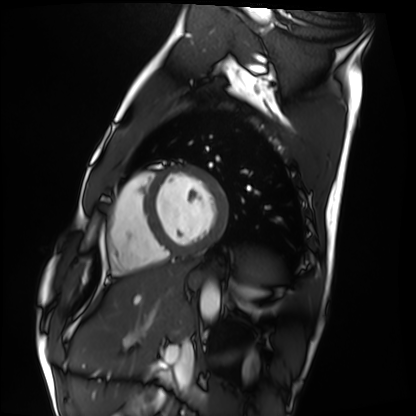
Cardiac MRI.
Subject group: healthy volunteer.